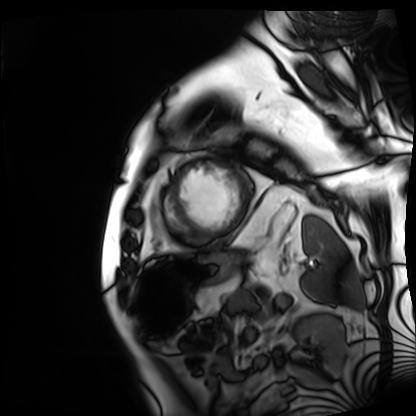
Cardiac MRI. Subject group: patient.